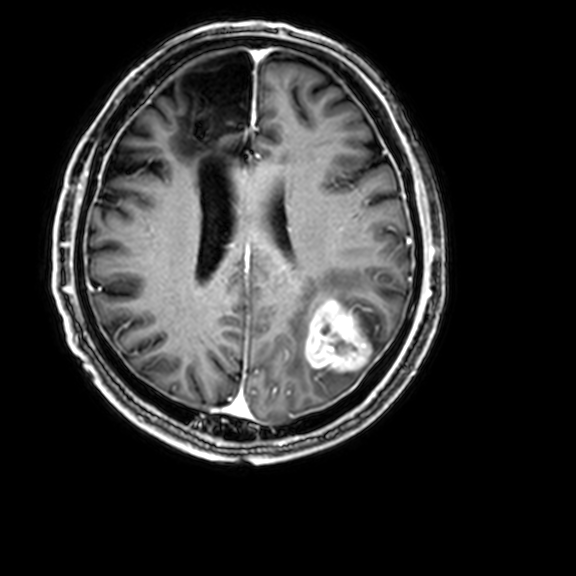
Q: What kind of scan is this?
A: 3 Tesla brain MRI.
Q: Series?
A: 3D T1-weighted with CLEAR.
Study: ring-enhancing brain masses.